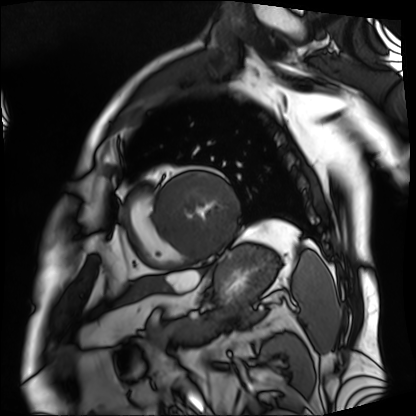
Cardiac MRI.
Subject group: patient.